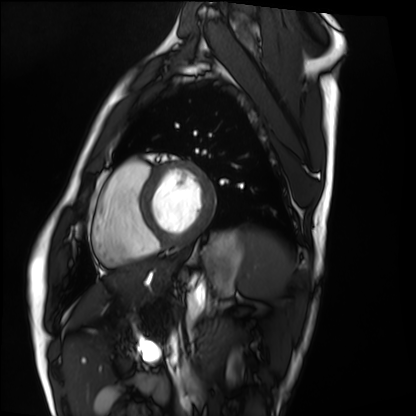
Clinical context: Cardiac MRI. Subject group: healthy volunteer.